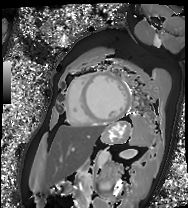
| field | value |
|---|---|
| modality | cardiac MRI |
| subject group | patient |